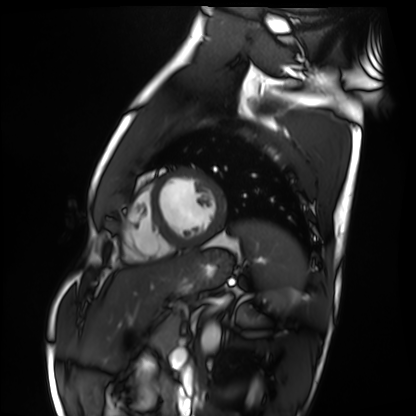
Case summary:
Cardiac MRI. Subject group: healthy volunteer.